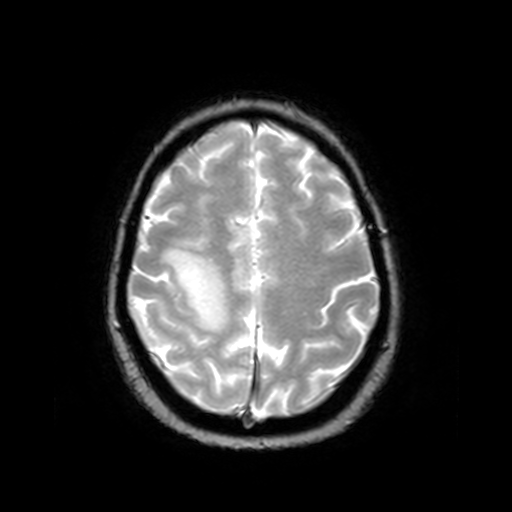
Q: What kind of scan is this?
A: 3 Tesla brain MRI.
Q: Series?
A: T2-weighted fast field echo.
Study: ring-enhancing brain masses.